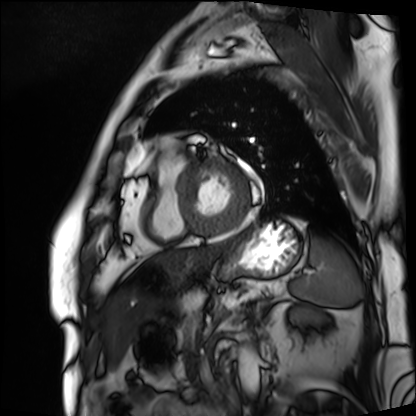
Cardiac MRI.
Subject group: patient.